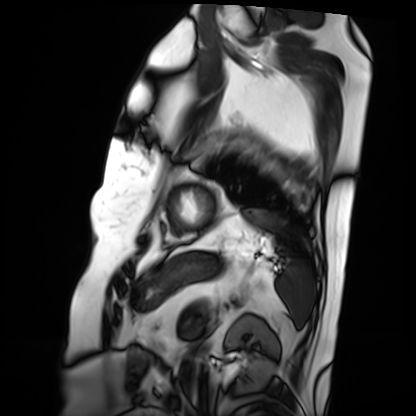
Cardiac MRI. Subject group: patient.